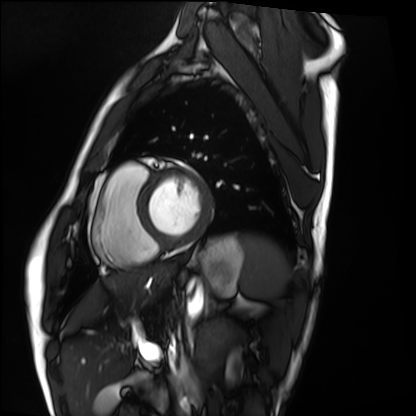
Summary: Cardiac MRI. Subject group: healthy volunteer.